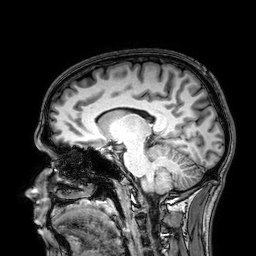
modality: 3 Tesla brain MRI; study: ring-enhancing brain masses.